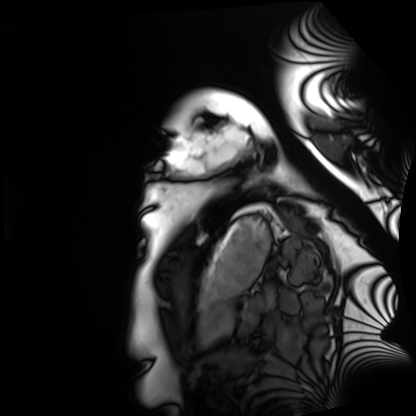
- modality — cardiac MRI
- subject group — healthy volunteer